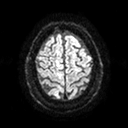
Case summary: 3 Tesla brain MRI. Series: diffusion tensor imaging (medium iso). Study: ring-enhancing brain masses.